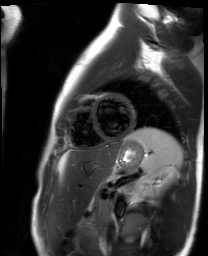
modality = cardiac MR image of the myocardium; subject cohort = healthy volunteer.